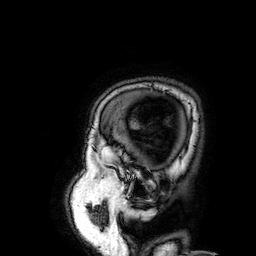
Summary:
3 Tesla brain MRI. Series: 3D T1-weighted. Study: ring-enhancing brain masses.